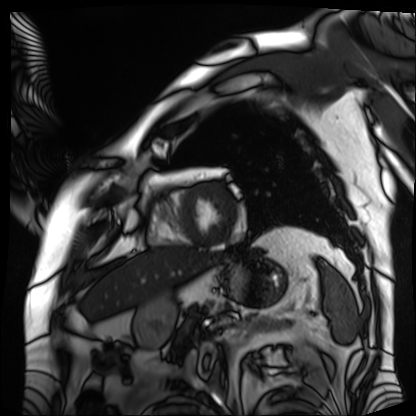
Summary:
Cardiac MRI. Subject group: patient.